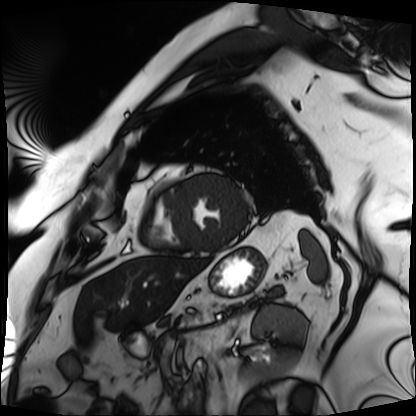
<scan>
  <modality>cardiac MRI</modality>
  <cohort>patient</cohort>
</scan>